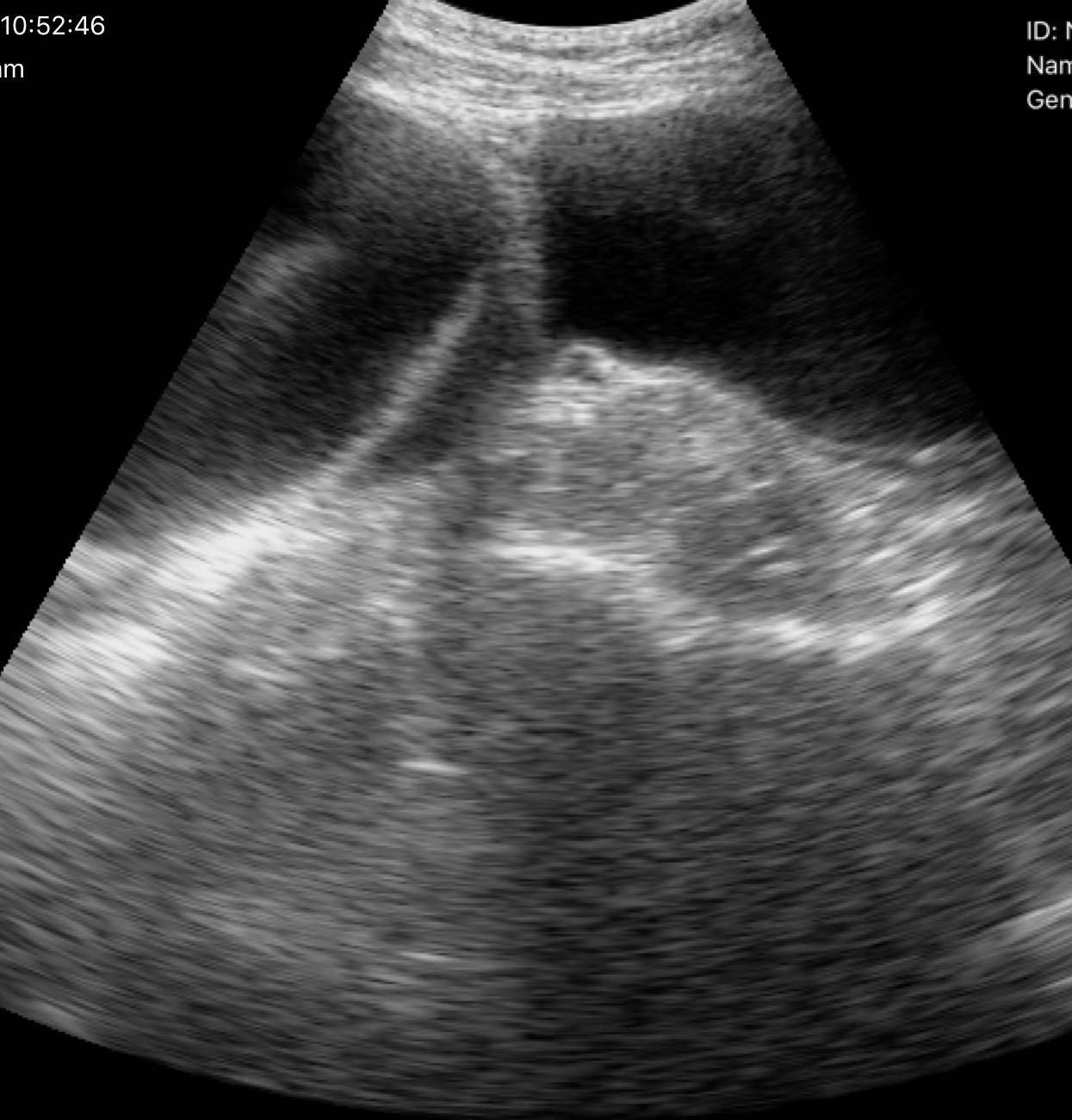
* modality — genitourinary ultrasound